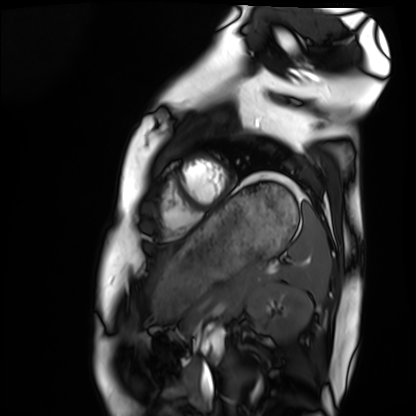
<study>
<modality>cardiac MRI</modality>
<cohort>healthy volunteer</cohort>
</study>